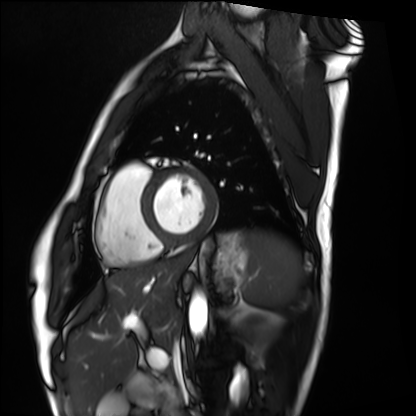
modality: cardiac MRI
cohort: healthy volunteer